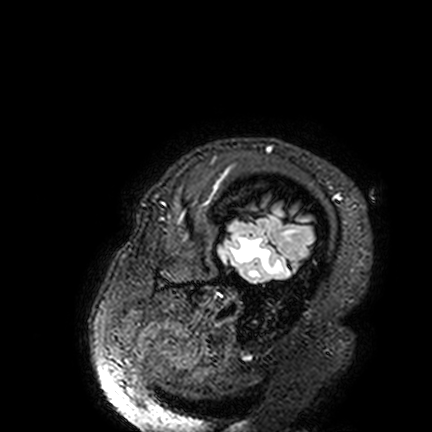
<study>
  <modality>
    <type>brain MRI</type>
    <field_strength>3T</field_strength>
  </modality>
  <series>FLAIR VISTA</series>
  <study_topic>ring-enhancing brain masses</study_topic>
</study>